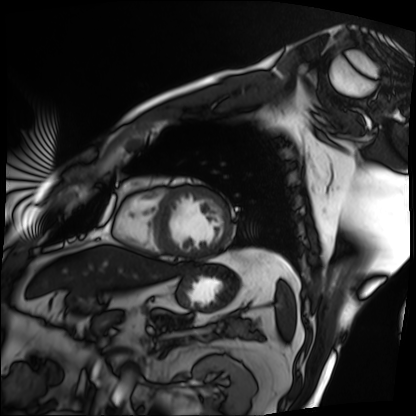
modality: cardiac MRI; subject group: patient.